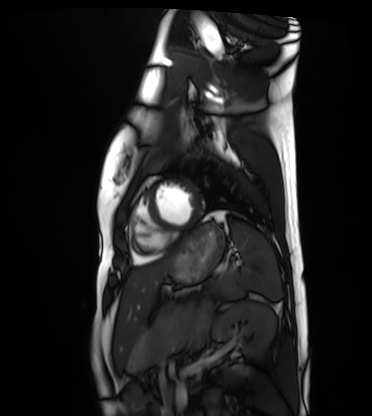
modality=cardiac MRI | subject group=healthy volunteer.